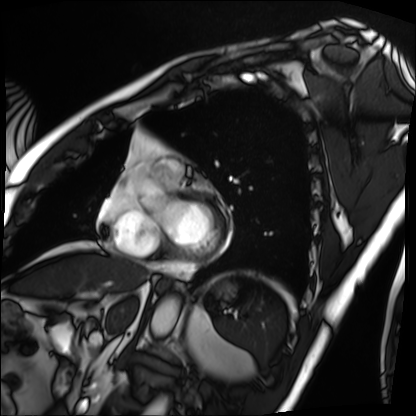
Q: What kind of scan is this?
A: Cardiac MRI.
Subject group: patient.